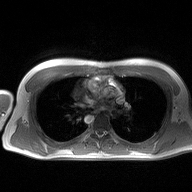
Q: What kind of scan is this?
A: 2D phase-contrast cine MRI of the ascending aorta.